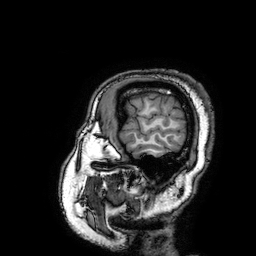
3 Tesla brain MRI. Series: 3D T1-weighted turbo field echo with SENSE. Study: ring-enhancing brain masses.